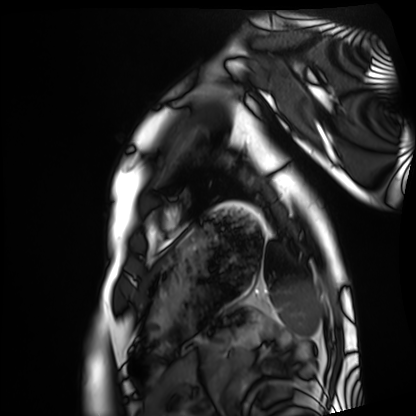
Summary: Cardiac MRI. Subject group: healthy volunteer.